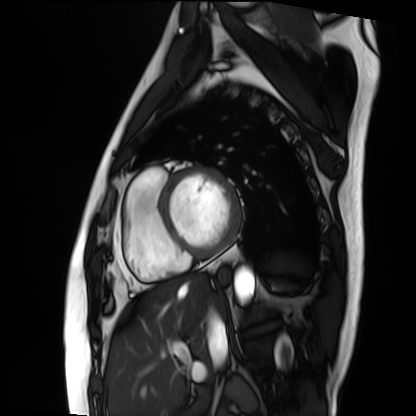
{
  "modality": "cardiac MRI",
  "cohort": "patient"
}